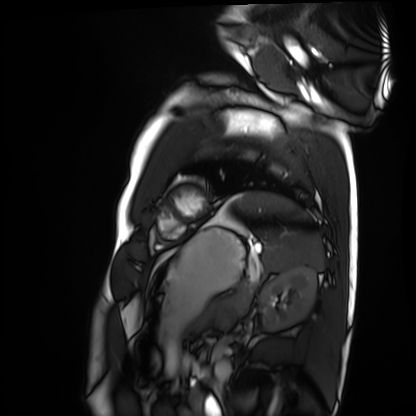
Q: What kind of scan is this?
A: Cardiac MRI.
Subject group: healthy volunteer.